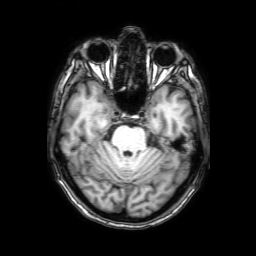
Summary: 3 Tesla brain MRI. Series: 3D T1-weighted with SENSE. Study: ring-enhancing brain masses.